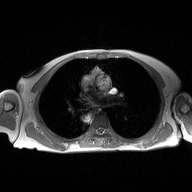
modality: 2D phase-contrast cine MRI of the ascending aorta